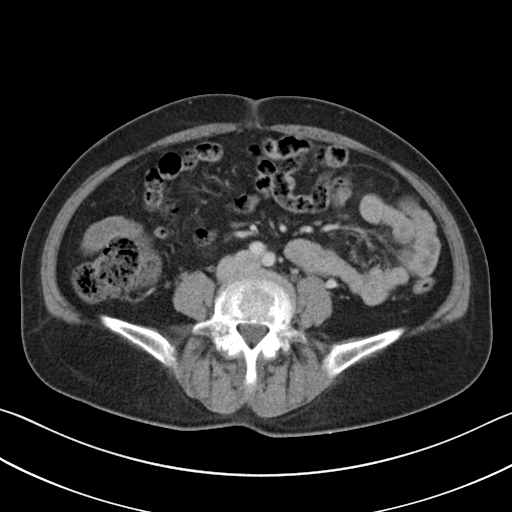
modality:
  type: multiphase abdominal CT
  region: liver
  phase: portal venous
patient:
  sex: female
  age: 56